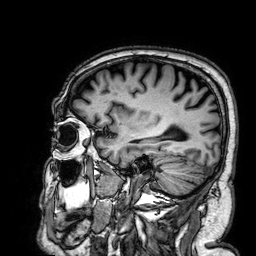
Case:
- modality: 3 Tesla brain MRI
- series: 3D T1-weighted
- study: ring-enhancing brain masses